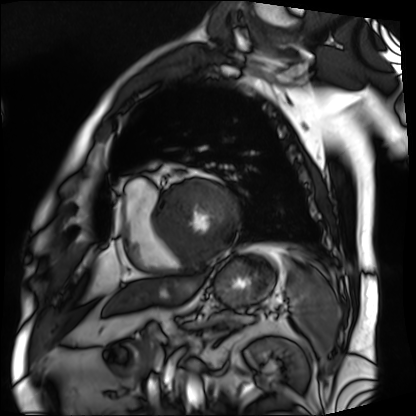
modality — cardiac MRI
subject group — patient